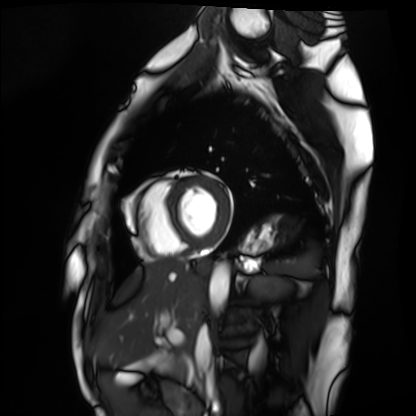
Cardiac MRI. Subject group: healthy volunteer.